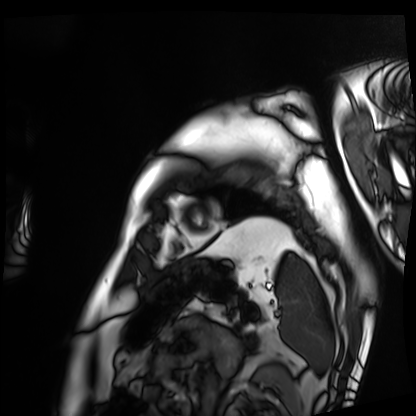
  modality: cardiac MRI
  cohort: patient